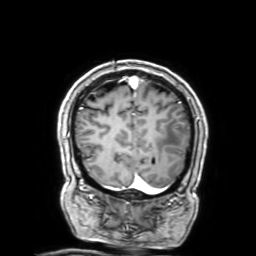
3 Tesla brain MRI. Series: 3D T1-weighted with SENSE. Study: ring-enhancing brain masses.